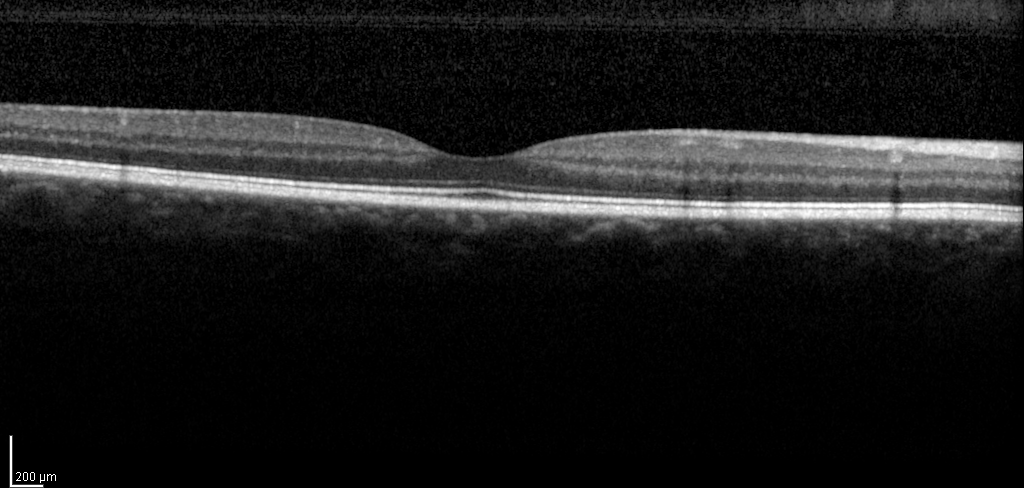
Spectral-domain optical coherence tomography (SD-OCT) of the macula. Subject: male, age 50, right eye. Cohort: non-diabetic control. ETDRS-grid retinal thickness (μm): central 249, inner temporal 312, inner nasal 327, inner superior 321, inner inferior 319, outer temporal 272, outer nasal 305, outer superior 288, outer inferior 286.